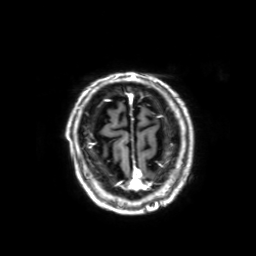
Q: What kind of scan is this?
A: 3 Tesla brain MRI.
Q: Series?
A: 3D T1-weighted with SENSE.
Study: ring-enhancing brain masses.